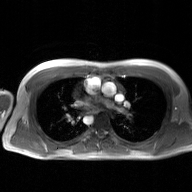
2D phase-contrast cine MRI of the ascending aorta, GAN super-resolution reconstruction.